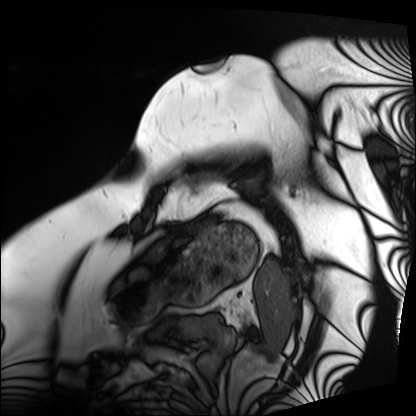
Summary:
Cardiac MRI. Subject group: patient.